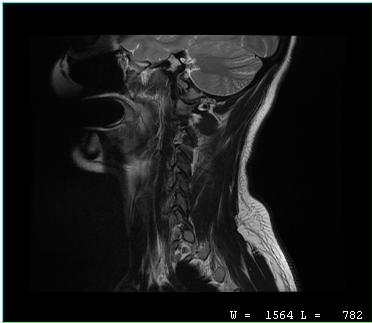
modality: MRI of the cervical spine
study: cervical spondylosis